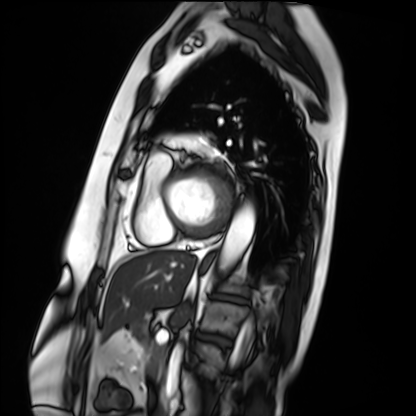
<study>
  <modality>cardiac MRI</modality>
  <cohort>patient</cohort>
</study>